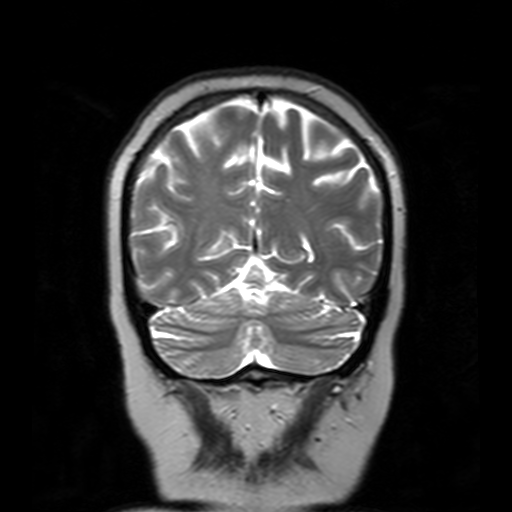
modality: 3 Tesla brain MRI | series: T2-weighted turbo spin echo with SENSE | study: ring-enhancing brain masses.